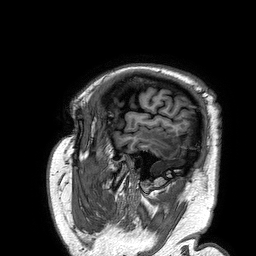
modality: 3 Tesla brain MRI
series: 3D T1-weighted turbo field echo
study: ring-enhancing brain masses